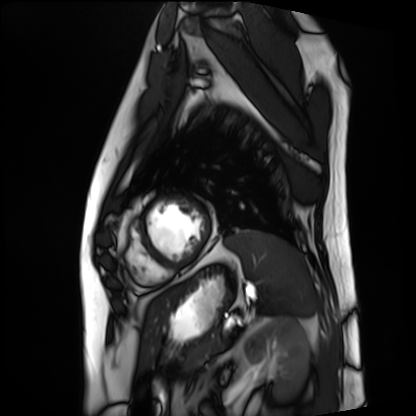
Summary: Cardiac MRI. Subject group: patient.